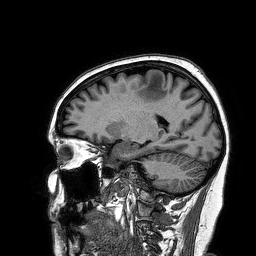
<study>
  <modality>
    <type>brain MRI</type>
    <field_strength>3T</field_strength>
  </modality>
  <series>3D T1-weighted turbo field echo</series>
  <study_topic>ring-enhancing brain masses</study_topic>
</study>